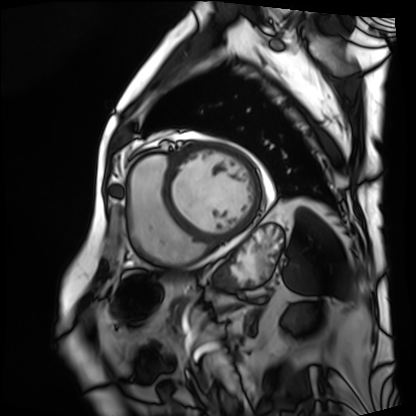
Clinical context: Cardiac MRI. Subject group: patient.